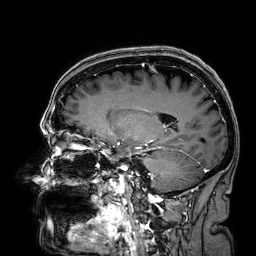
Clinical context: 3 Tesla brain MRI. Series: 3D T1-weighted. Study: ring-enhancing brain masses.